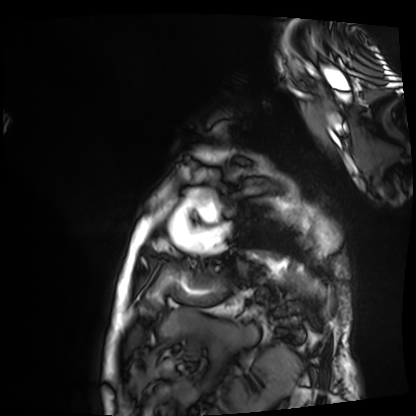
Cardiac MRI.
Subject group: patient.